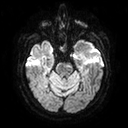
modality — 3 Tesla brain MRI
series — diffusion tensor imaging (medium iso)
study — ring-enhancing brain masses